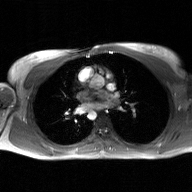
Clinical context:
2D phase-contrast cine MRI of the ascending aorta, GAN super-resolution reconstruction.